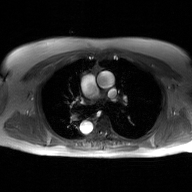
Q: What kind of scan is this?
A: 2D phase-contrast cine MRI of the ascending aorta, GAN super-resolution reconstruction.